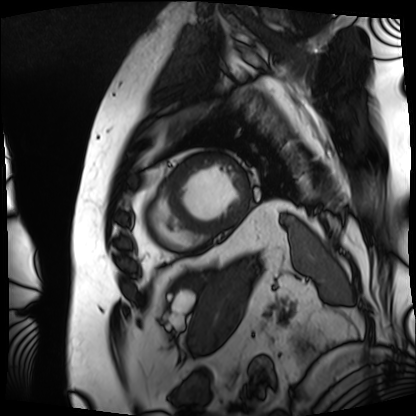
Summary:
Cardiac MRI. Subject group: patient.